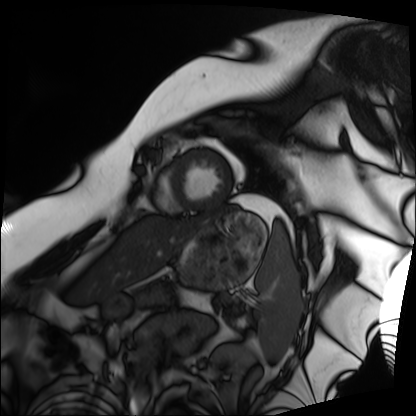
• modality: cardiac MRI
• subject group: patient